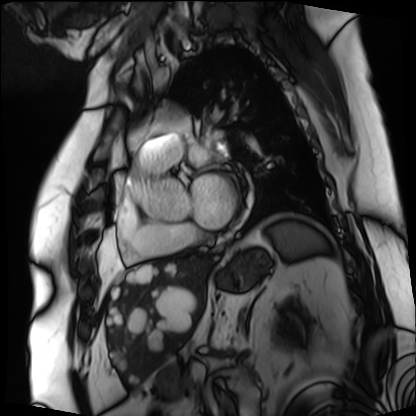
<study>
<modality>cardiac MRI</modality>
<cohort>patient</cohort>
</study>